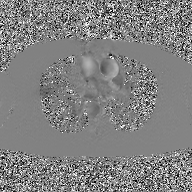
| field | value |
|---|---|
| modality | 2D phase-contrast cine MRI of the ascending aorta, GAN super-resolution reconstruction |